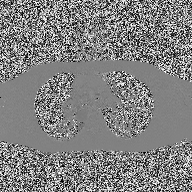
| field | value |
|---|---|
| modality | 2D phase-contrast cine MRI of the ascending aorta |